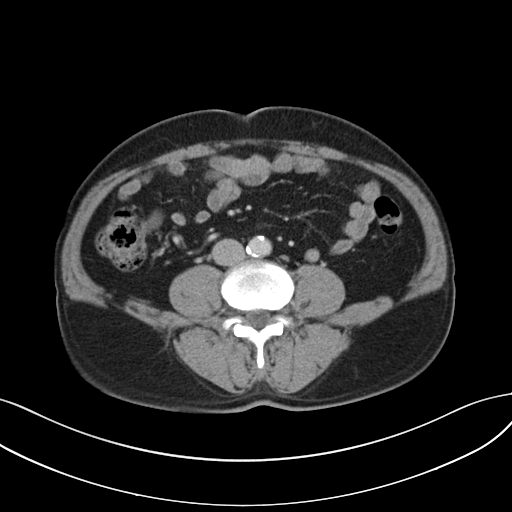
* modality: multiphase abdominal CT, liver, portal venous phase
* patient: male, age 61
* history: cirrhosis, viral hepatitis